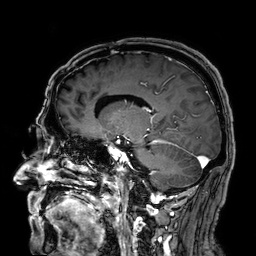
| field | value |
|---|---|
| modality | 3 Tesla brain MRI |
| series | 3D T1-weighted |
| study | ring-enhancing brain masses |